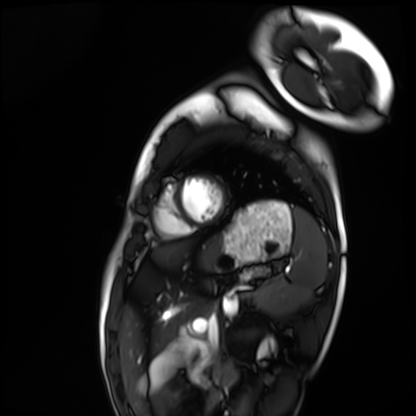
modality: cardiac MRI; subject group: healthy volunteer.